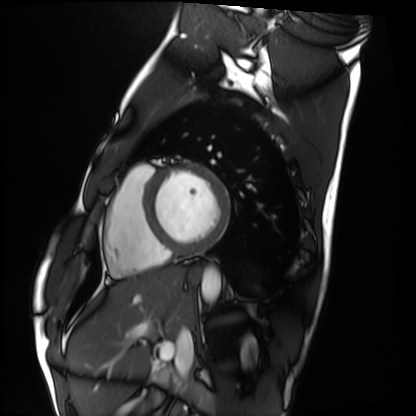
Cardiac MRI. Subject group: healthy volunteer.